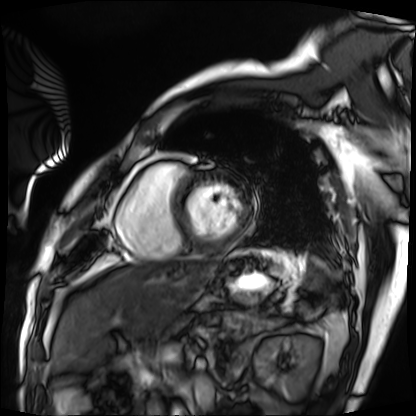
Cardiac MRI. Subject group: patient.